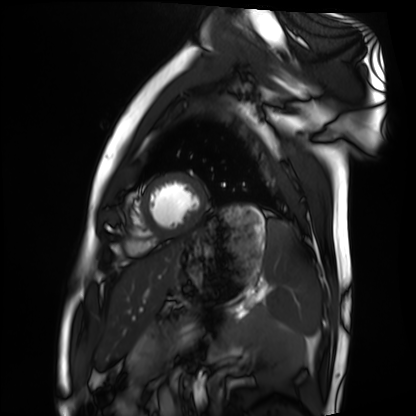
– modality: cardiac MRI
– subject group: healthy volunteer